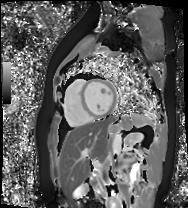
Case summary: Cardiac MR image of the myocardium. Subject cohort: healthy volunteer.